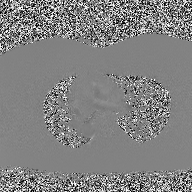
modality — 2D phase-contrast cine MRI of the ascending aorta